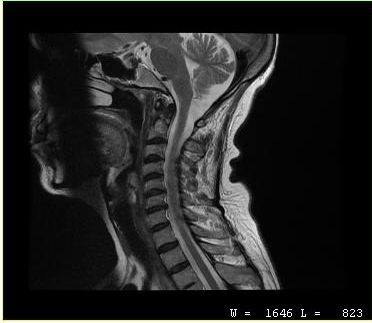
{
  "modality": {
    "type": "cervical spine MRI"
  },
  "study_topic": "cervical spondylosis"
}